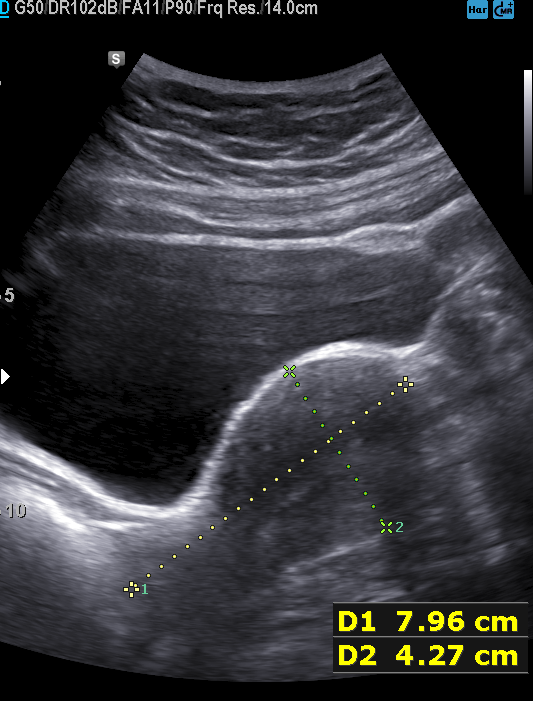
Genitourinary ultrasound.